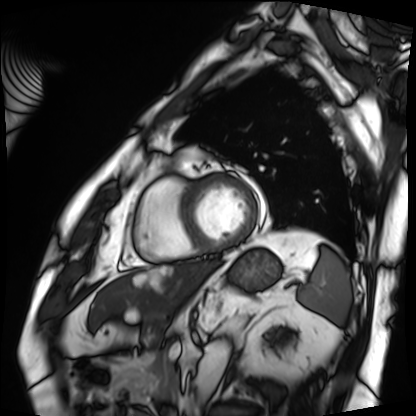
Clinical context: Cardiac MRI. Subject group: patient.